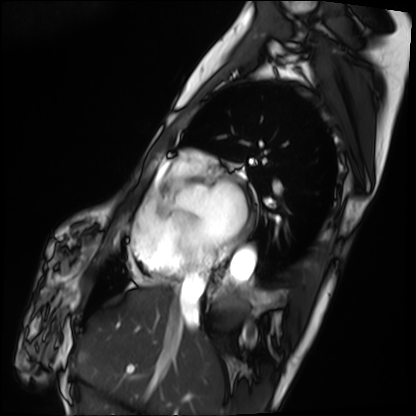
Cardiac MRI. Subject group: patient.